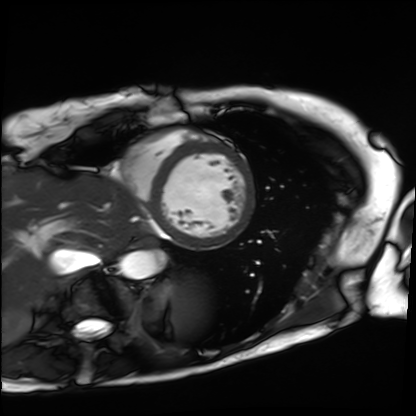
modality = cardiac MRI | subject group = patient.